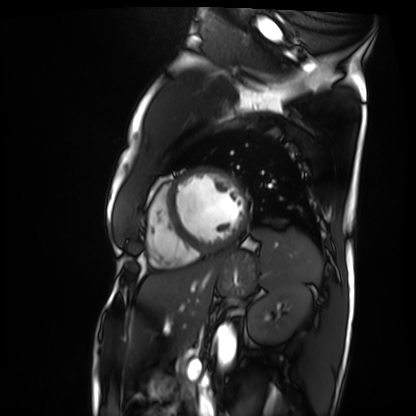
* modality: cardiac MRI
* subject group: patient